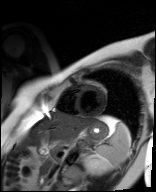
Clinical context:
Cardiac MR image of the myocardium. Subject cohort: healthy volunteer.